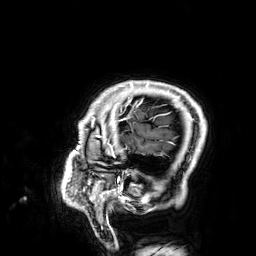
3 Tesla brain MRI. Series: 3D T1-weighted. Study: ring-enhancing brain masses.